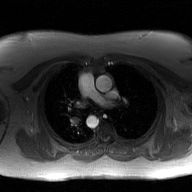
2D phase-contrast cine MRI of the ascending aorta, GAN super-resolution reconstruction.